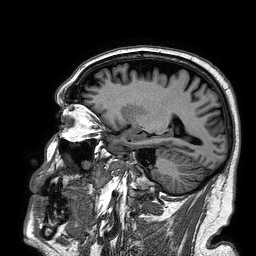
Case summary: 3 Tesla brain MRI. Series: 3D T1-weighted turbo field echo. Study: ring-enhancing brain masses.